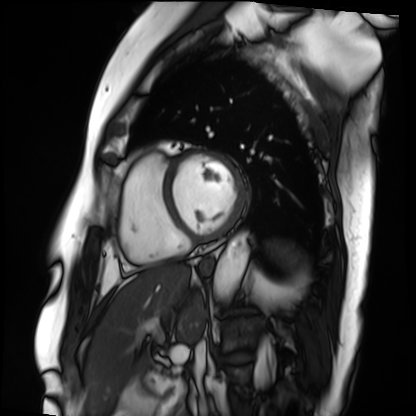
• modality — cardiac MRI
• subject group — patient